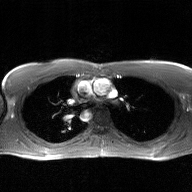
| field | value |
|---|---|
| modality | 2D phase-contrast cine MRI of the ascending aorta, GAN super-resolution reconstruction |